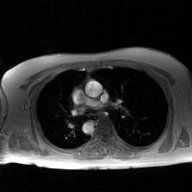
modality = 2D phase-contrast cine MRI of the ascending aorta, GAN super-resolution reconstruction.